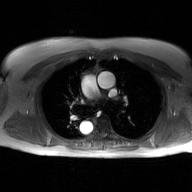
Clinical context:
2D phase-contrast cine MRI of the ascending aorta, GAN super-resolution reconstruction.